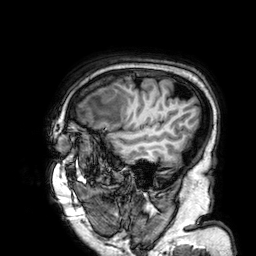
<scan>
<modality>
  <type>brain MRI</type>
  <field_strength>3T</field_strength>
</modality>
<series>3D T1-weighted</series>
<study_topic>ring-enhancing brain masses</study_topic>
</scan>